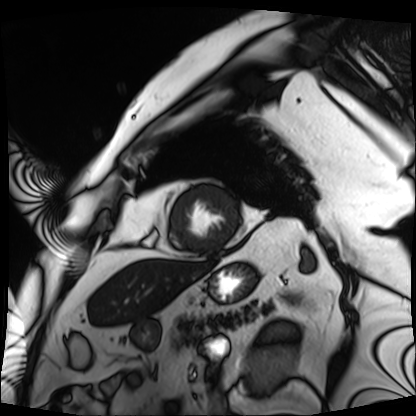
modality: cardiac MRI
cohort: patient